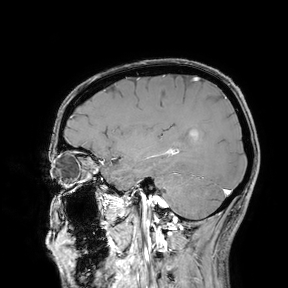
3 Tesla brain MRI. Study: ring-enhancing brain masses.